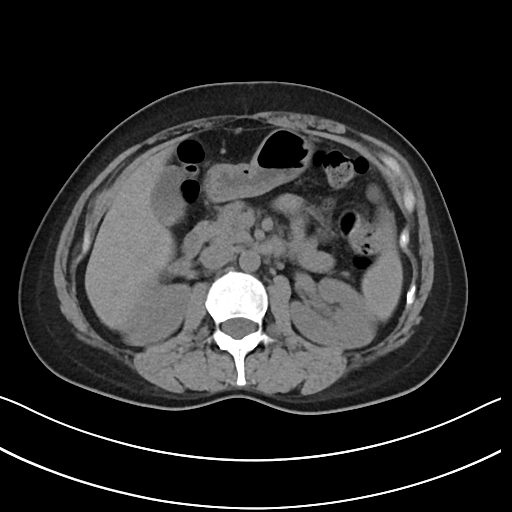
modality: multiphase abdominal CT, liver, non-contrast phase
patient: female, age 39
history: prior chemotherapy